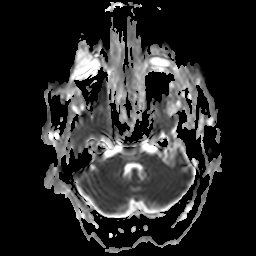
Q: What kind of scan is this?
A: 3 Tesla brain MRI.
Q: Series?
A: Apparent diffusion coefficient (ADC) map.
Study: ring-enhancing brain masses.